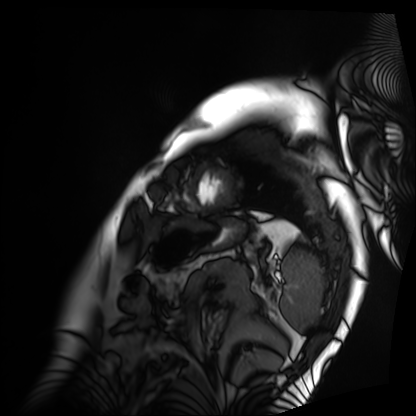
modality: cardiac MRI
subject group: patient